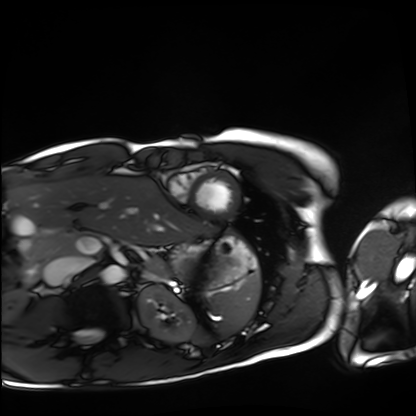
modality: cardiac MRI
cohort: healthy volunteer